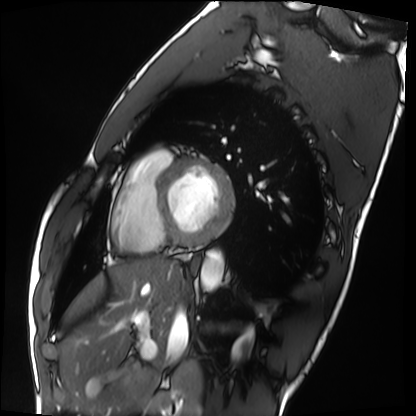
Cardiac MRI. Subject group: healthy volunteer.